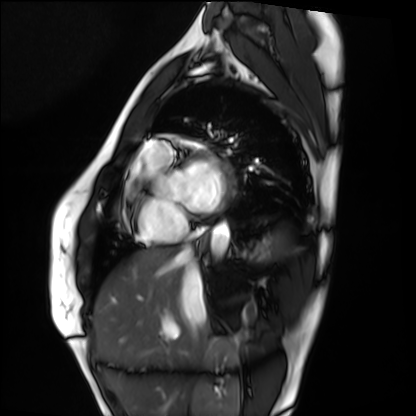
<scan>
<modality>cardiac MRI</modality>
<cohort>healthy volunteer</cohort>
</scan>